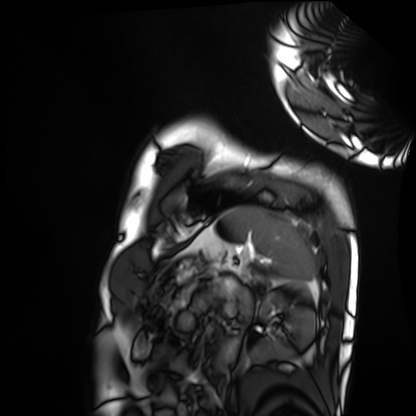
Cardiac MRI.
Subject group: healthy volunteer.